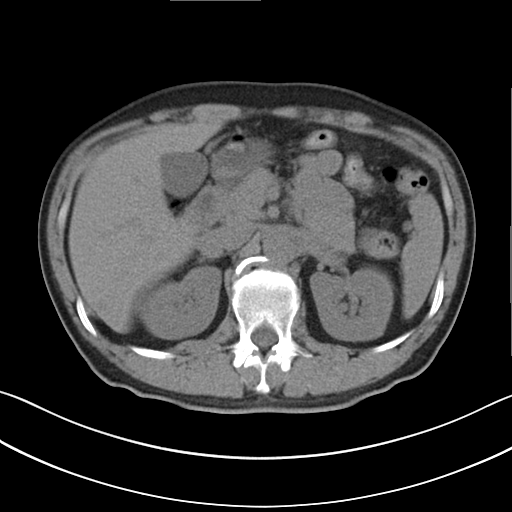
Case summary:
Multiphase abdominal CT, liver, non-contrast phase. Patient: male, age 45.